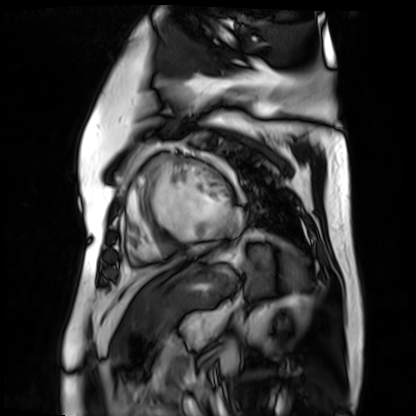
Cardiac MR image of the myocardium. Subject cohort: cardiac patient.